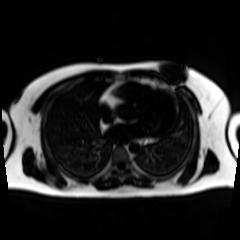
Clinical context: Chemical-shift-encoded cardiac MRI.